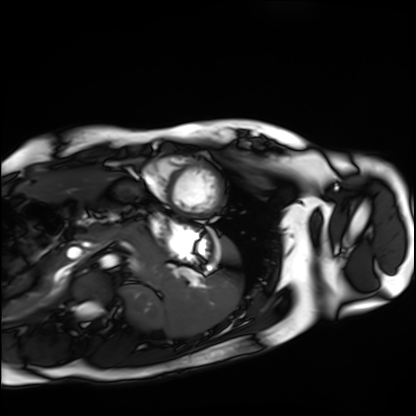
Summary: Cardiac MRI. Subject group: healthy volunteer.